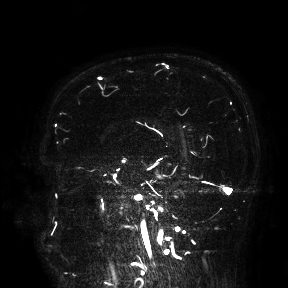
3 Tesla brain MRI.
Study: ring-enhancing brain masses.